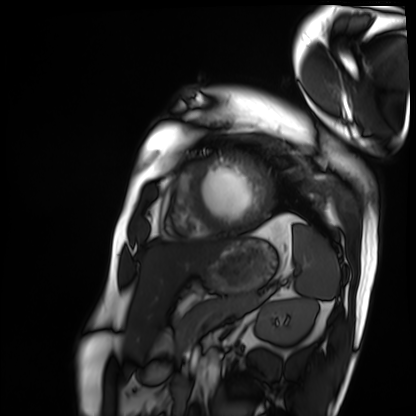
Summary: Cardiac MRI. Subject group: patient.